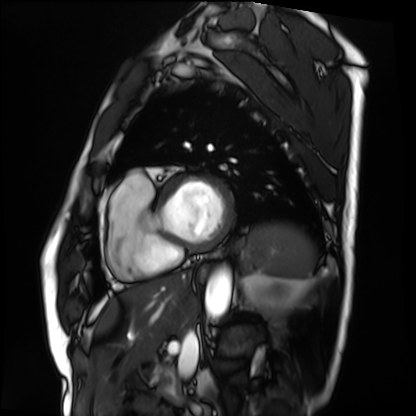
Q: What kind of scan is this?
A: Cardiac MRI.
Subject group: patient.